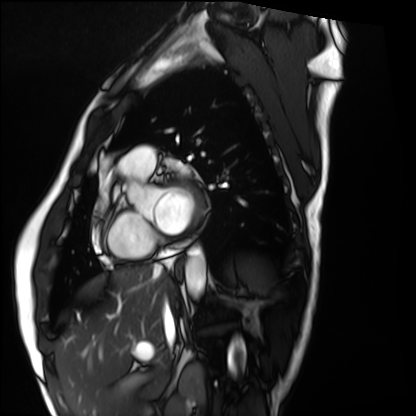
{
  "modality": "cardiac MRI",
  "cohort": "healthy volunteer"
}